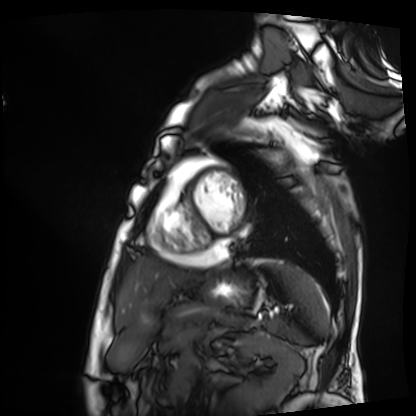
modality = cardiac MRI
subject group = patient